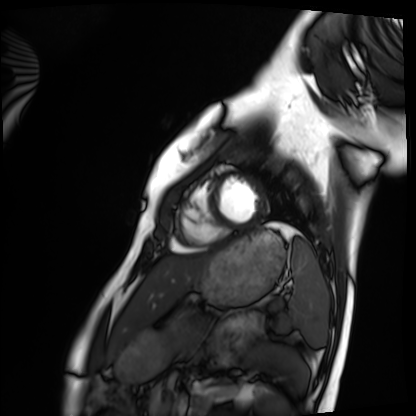
Clinical context:
Cardiac MRI. Subject group: healthy volunteer.